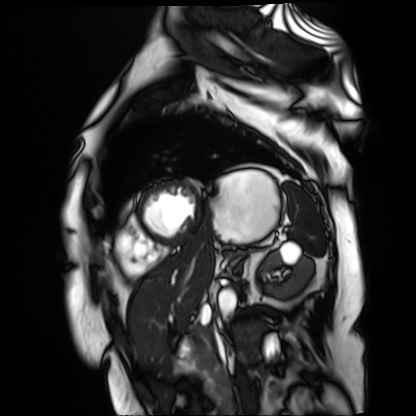
  modality: cardiac MR image of the myocardium
  cohort: cardiac patient